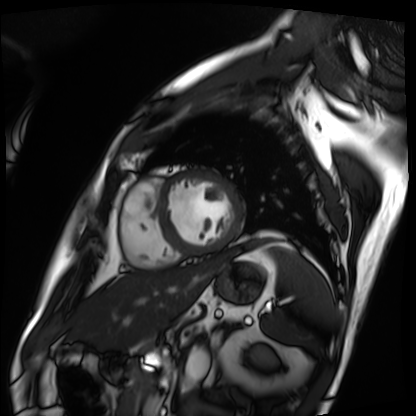
| field | value |
|---|---|
| modality | cardiac MRI |
| subject group | patient |